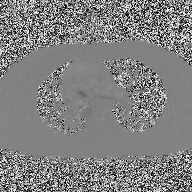
{"modality": {"type": "2D phase-contrast cine MRI", "region": "ascending aorta", "reconstruction": "high-resolution GRAPPA acquisition"}}